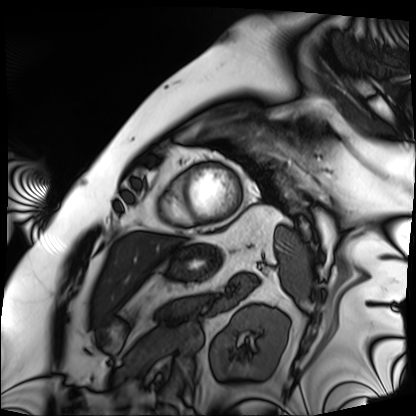
Cardiac MRI. Subject group: patient.